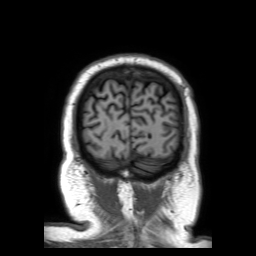
| field | value |
|---|---|
| modality | 3 Tesla brain MRI |
| series | 3D T1-weighted TFE with SENSE |
| study | ring-enhancing brain masses |